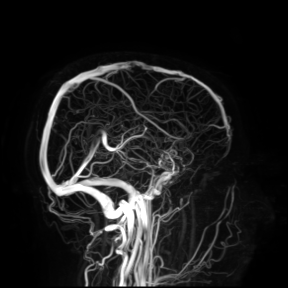
3 Tesla brain MRI.
Study: ring-enhancing brain masses.